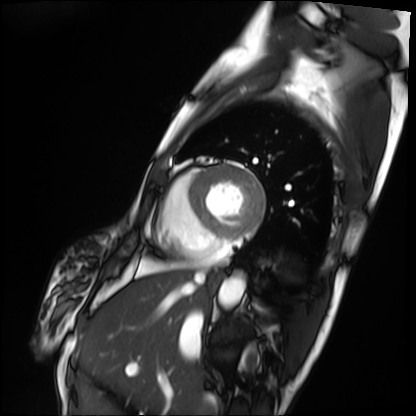
modality: cardiac MRI | subject group: patient.